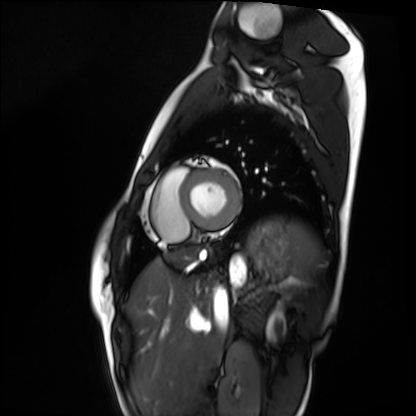
<case>
<modality>cardiac MRI</modality>
<cohort>healthy volunteer</cohort>
</case>